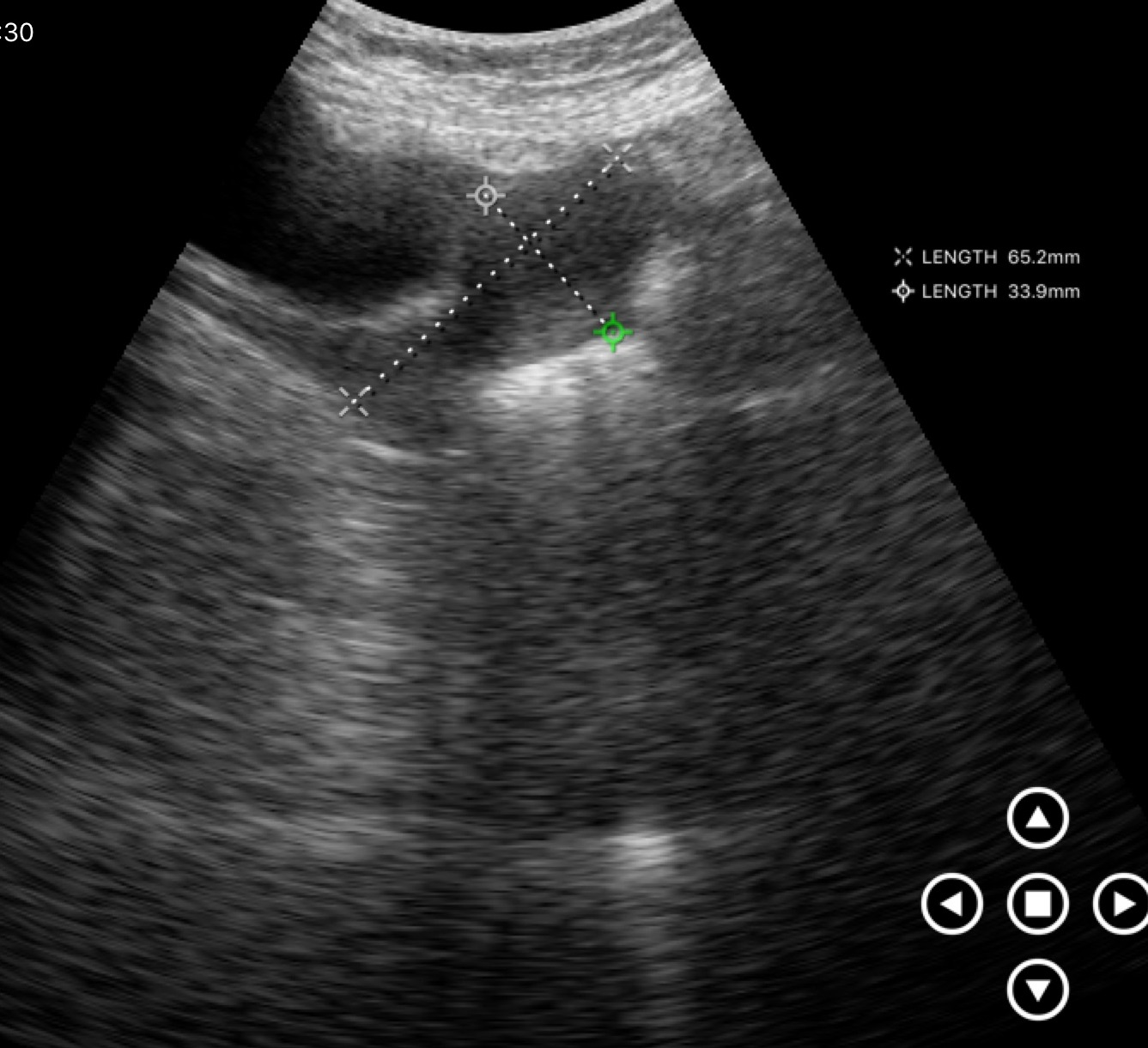
Genitourinary ultrasound.